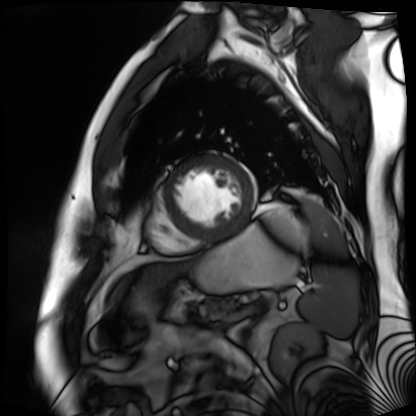
| field | value |
|---|---|
| modality | cardiac MR image of the myocardium |
| subject cohort | cardiac patient |